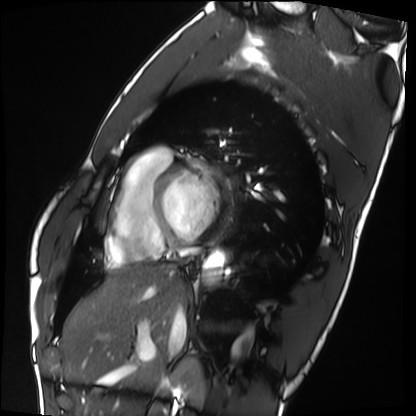
Case summary:
Cardiac MRI. Subject group: healthy volunteer.